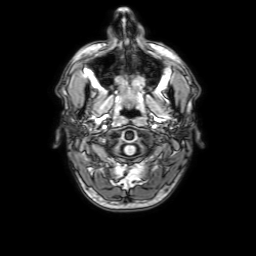
3 Tesla brain MRI. Series: 3D T1-weighted with SENSE. Study: ring-enhancing brain masses.